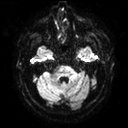
Q: What kind of scan is this?
A: 3 Tesla brain MRI.
Q: Series?
A: Diffusion tensor imaging (medium iso).
Study: ring-enhancing brain masses.